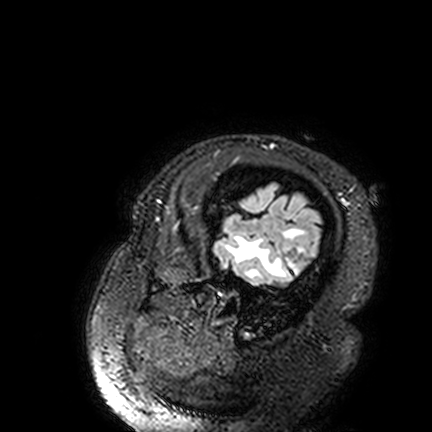
modality — 3 Tesla brain MRI; series — FLAIR VISTA; study — ring-enhancing brain masses.